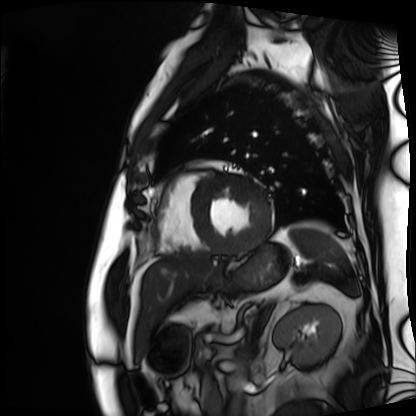
| field | value |
|---|---|
| modality | cardiac MRI |
| subject group | patient |